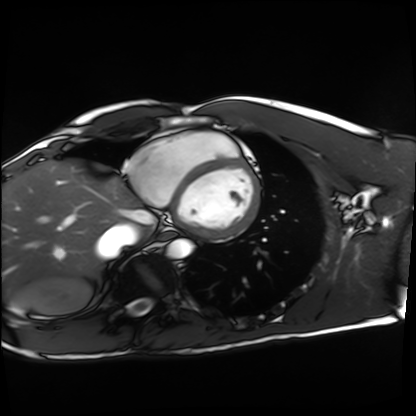
Cardiac MRI. Subject group: healthy volunteer.